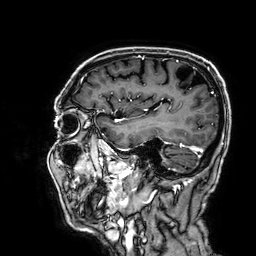
3 Tesla brain MRI.
Series: 3D T1-weighted.
Study: ring-enhancing brain masses.